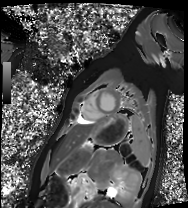
{
  "modality": "cardiac MRI",
  "cohort": "healthy volunteer"
}